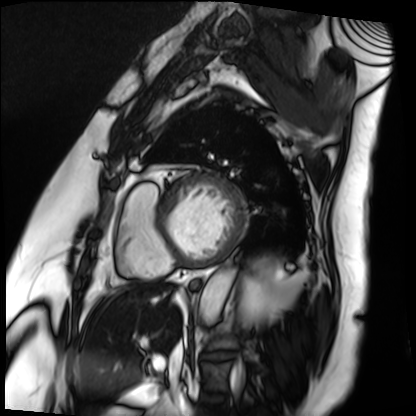
Case:
* modality · cardiac MRI
* subject group · patient